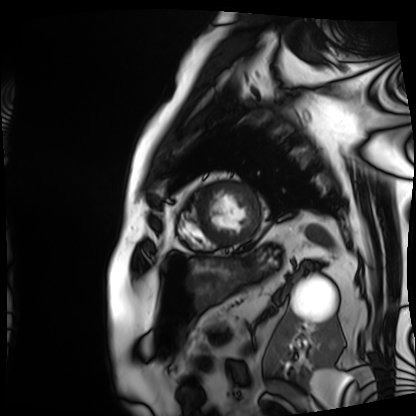
  modality: cardiac MRI
  cohort: patient